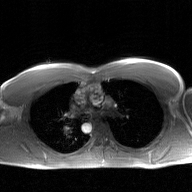
2D phase-contrast cine MRI of the ascending aorta, GAN super-resolution reconstruction.